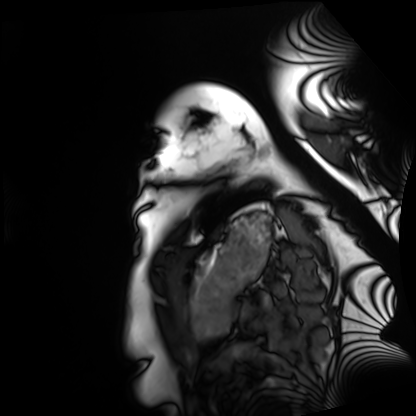
Case:
- modality: cardiac MRI
- subject group: healthy volunteer